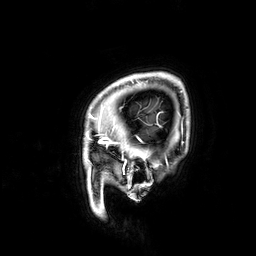
{"modality": {"type": "brain MRI", "field_strength": "3T"}, "series": "3D T1-weighted", "study_topic": "ring-enhancing brain masses"}